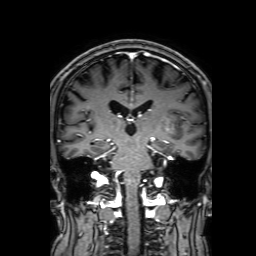
3 Tesla brain MRI. Series: 3D T1-weighted with SENSE. Study: ring-enhancing brain masses.